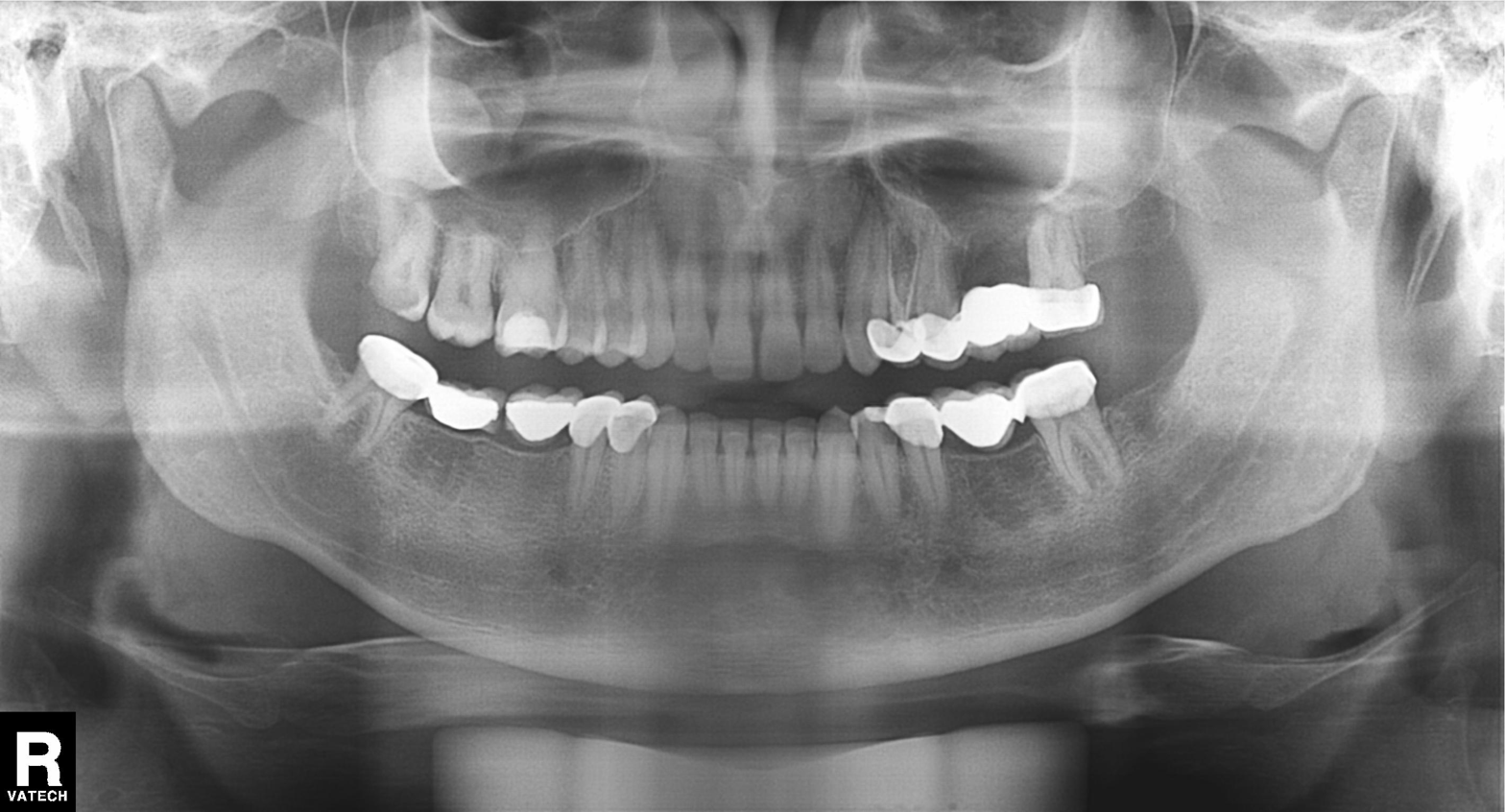
<scan>
<modality>panoramic dental radiograph (orthopantomogram)</modality>
<finding>dental caries (cavities)</finding>
</scan>